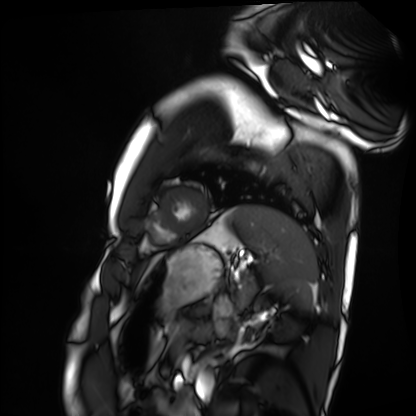
Q: What kind of scan is this?
A: Cardiac MRI.
Subject group: healthy volunteer.